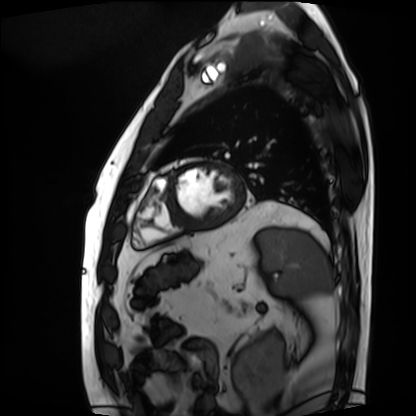
{"modality": "cardiac MRI", "cohort": "patient"}